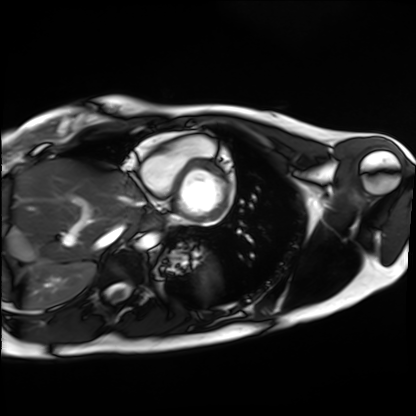
{"modality": "cardiac MRI", "cohort": "healthy volunteer"}